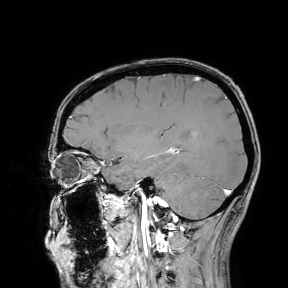
modality=3 Tesla brain MRI
study=ring-enhancing brain masses